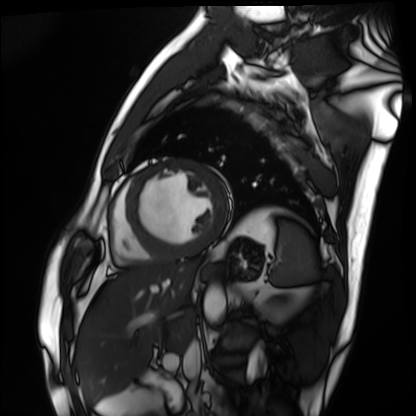
Cardiac MRI.
Subject group: patient.